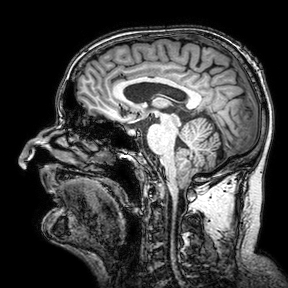
Clinical context:
3 Tesla brain MRI. Series: 3D T1-weighted turbo field echo with SENSE. Study: ring-enhancing brain masses.